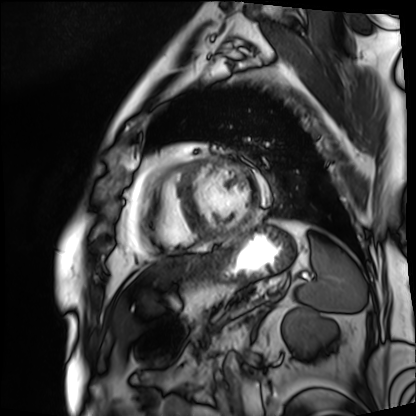
Cardiac MRI.
Subject group: patient.